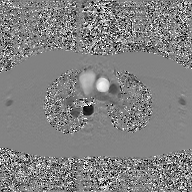
| field | value |
|---|---|
| modality | 2D phase-contrast cine MRI of the ascending aorta, GAN super-resolution reconstruction |